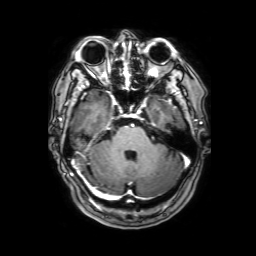
3 Tesla brain MRI. Series: 3D T1-weighted with SENSE. Study: ring-enhancing brain masses.